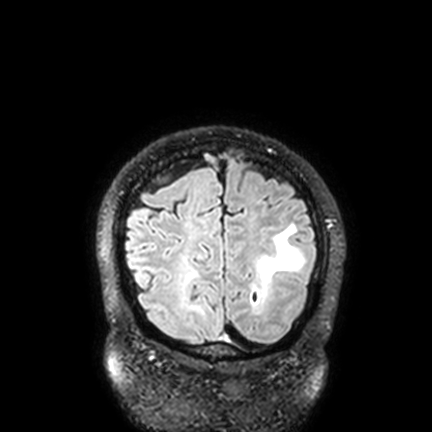
3 Tesla brain MRI.
Study: ring-enhancing brain masses.